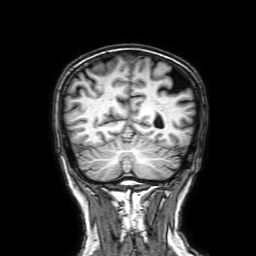
3 Tesla brain MRI. Series: 3D T1-weighted with SENSE. Study: ring-enhancing brain masses.